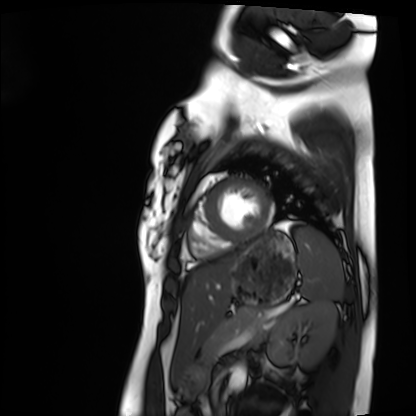
modality = cardiac MRI | subject group = healthy volunteer.